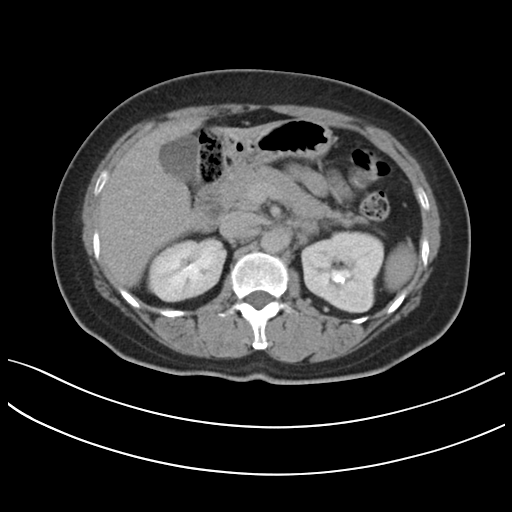
modality = multiphase abdominal CT, liver, delayed phase; patient = female, age 48.